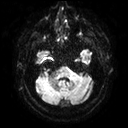
Clinical context:
3 Tesla brain MRI. Series: diffusion tensor imaging (medium iso). Study: ring-enhancing brain masses.